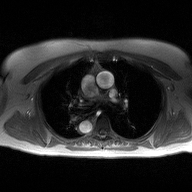
| field | value |
|---|---|
| modality | 2D phase-contrast cine MRI of the ascending aorta |